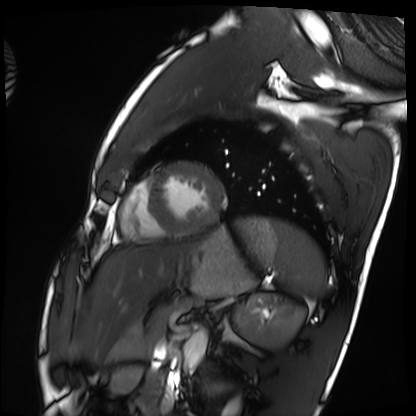
  modality: cardiac MRI
  cohort: healthy volunteer